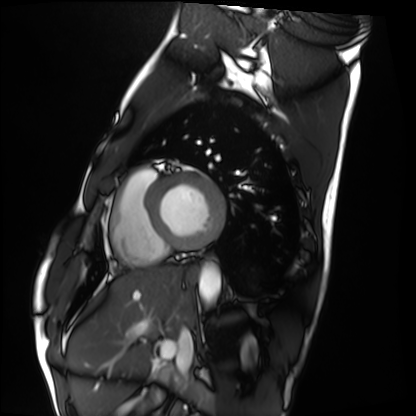
modality = cardiac MRI | subject group = healthy volunteer.